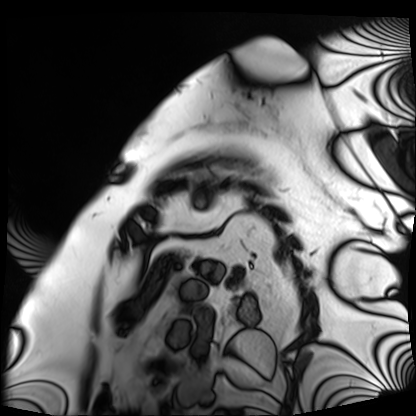
Cardiac MRI. Subject group: patient.